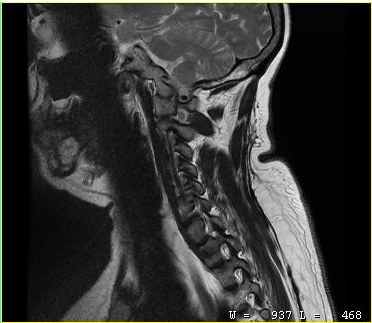
Clinical context:
MRI of the cervical spine. Study: cervical spondylosis.